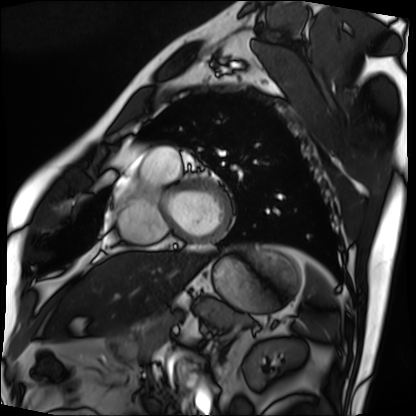
{
  "modality": "cardiac MRI",
  "cohort": "patient"
}